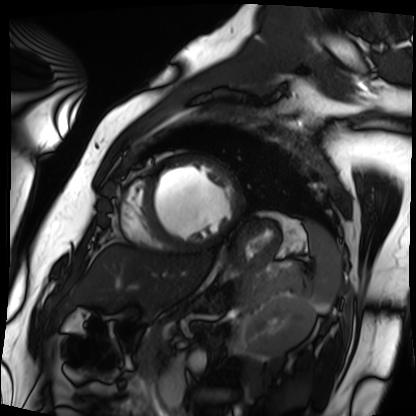
Summary:
Cardiac MRI. Subject group: patient.